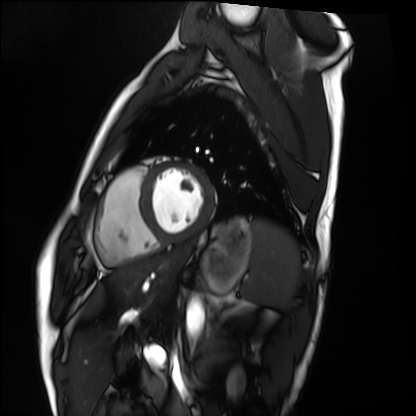
Clinical context: Cardiac MRI. Subject group: healthy volunteer.